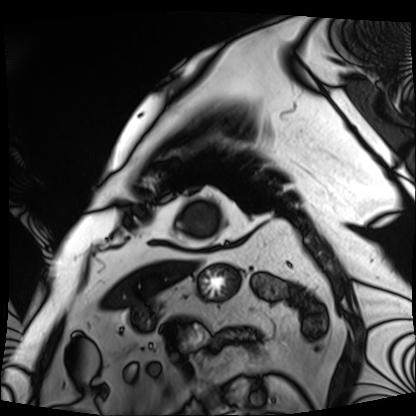
<scan>
<modality>cardiac MRI</modality>
<cohort>patient</cohort>
</scan>